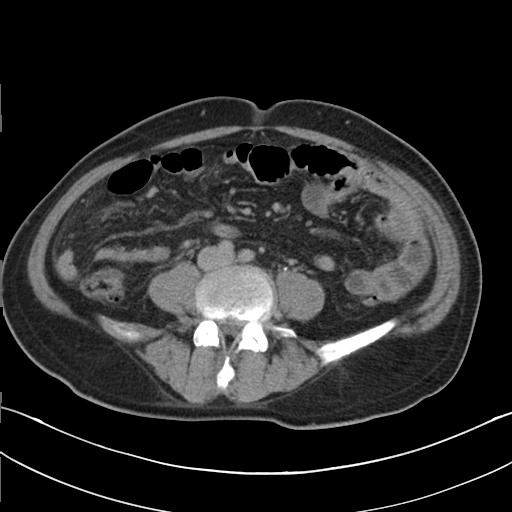
Multiphase abdominal CT, liver, delayed phase.
Patient: male, age 50.
History: cirrhosis, viral hepatitis.